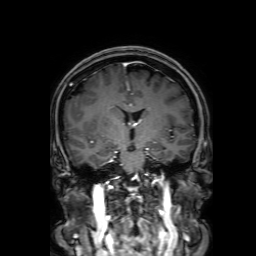
3 Tesla brain MRI.
Series: 3D T1-weighted with SENSE.
Study: ring-enhancing brain masses.